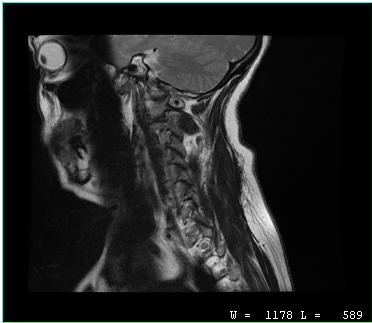
MRI of the cervical spine.
Study: cervical spondylosis.